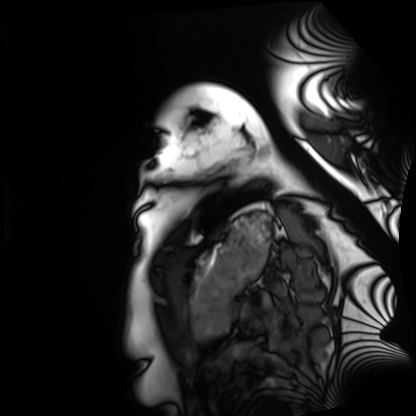
– modality: cardiac MRI
– subject group: healthy volunteer